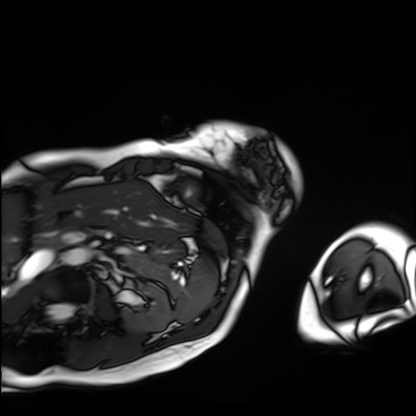
– modality · cardiac MRI
– subject group · patient